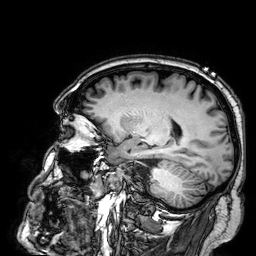
– modality · 3 Tesla brain MRI
– series · 3D T1-weighted
– study · ring-enhancing brain masses